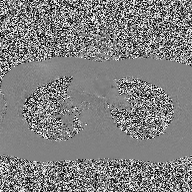
Q: What kind of scan is this?
A: 2D phase-contrast cine MRI of the ascending aorta.